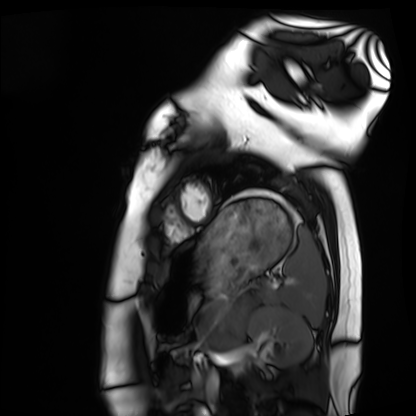
modality: cardiac MRI, subject group: healthy volunteer.